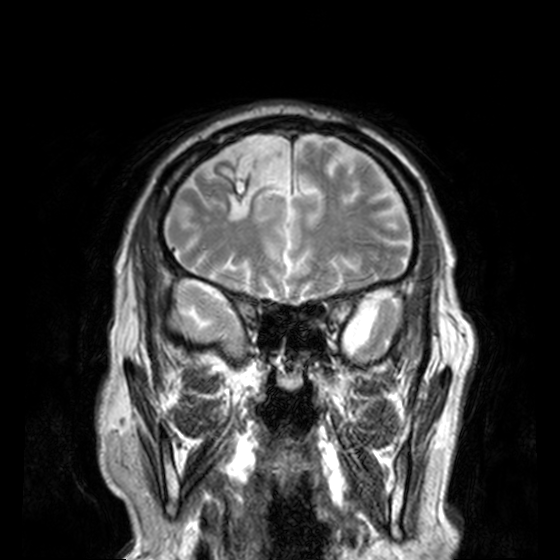
modality: 3 Tesla brain MRI; series: T2-weighted turbo spin echo, 3 mm; study: ring-enhancing brain masses.